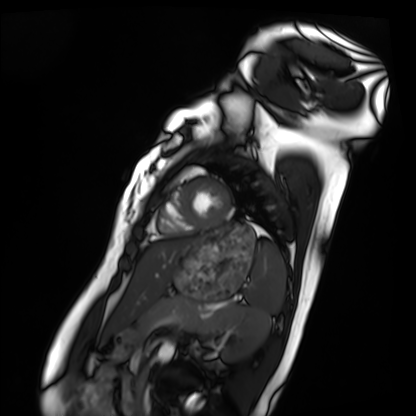
| field | value |
|---|---|
| modality | cardiac MRI |
| subject group | healthy volunteer |